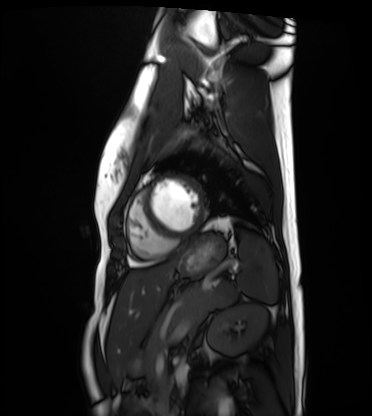
  modality: cardiac MRI
  cohort: healthy volunteer